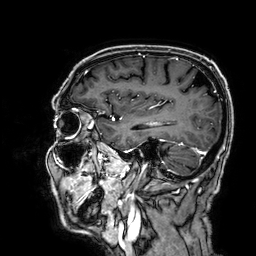
Summary: 3 Tesla brain MRI. Series: 3D T1-weighted. Study: ring-enhancing brain masses.